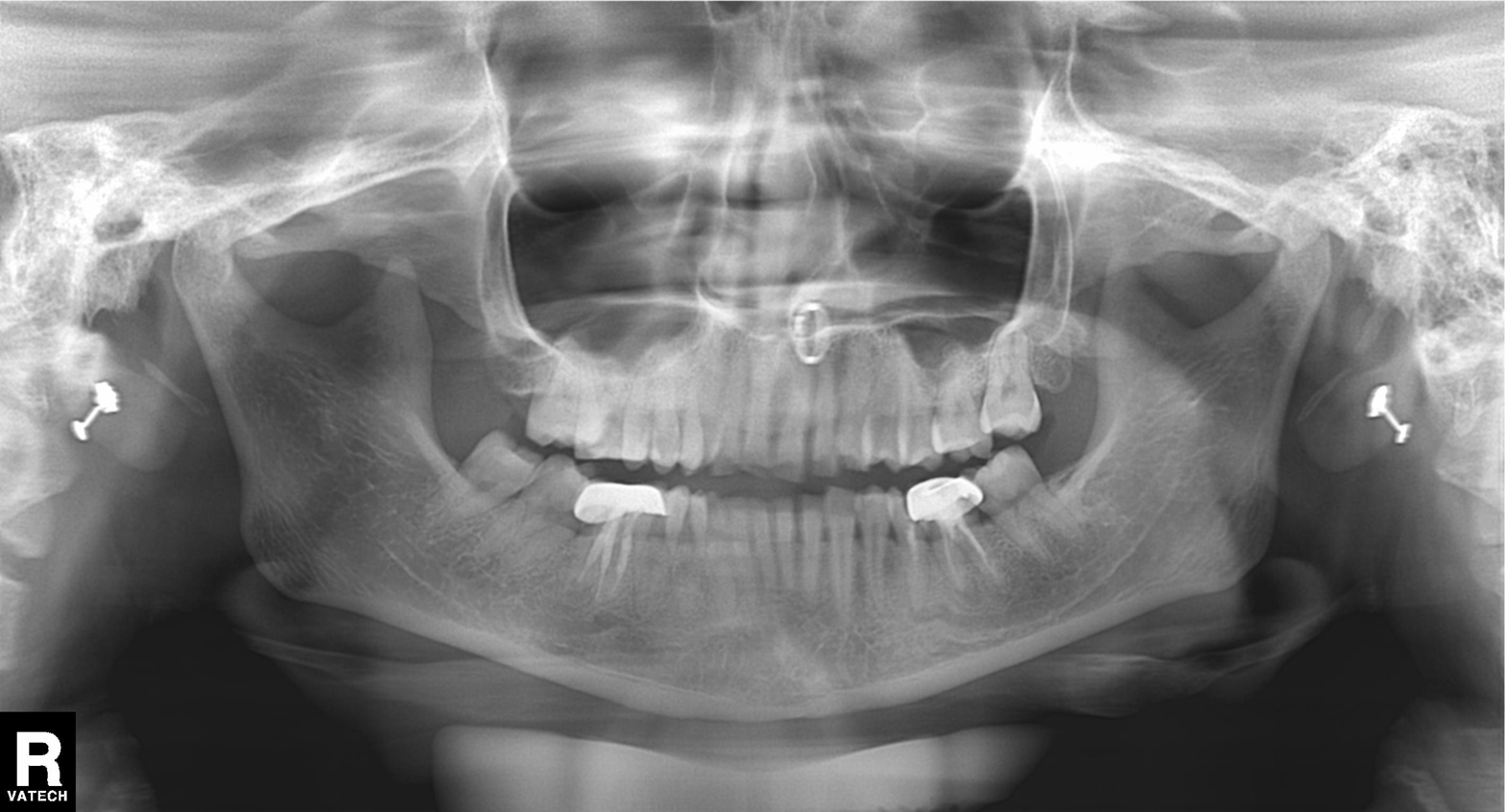
Panoramic dental radiograph (orthopantomogram). Finding: tooth impaction.